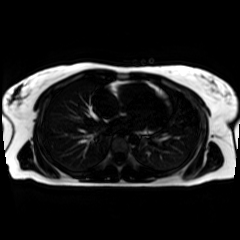
{"modality": "chemical-shift-encoded cardiac MRI"}